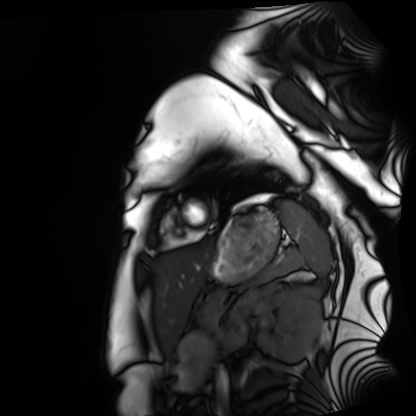
Cardiac MRI.
Subject group: healthy volunteer.